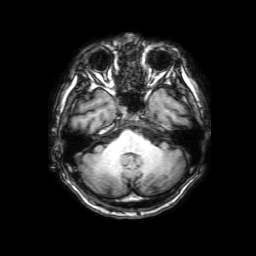
modality = 3 Tesla brain MRI; series = 3D T1-weighted with SENSE; study = ring-enhancing brain masses.